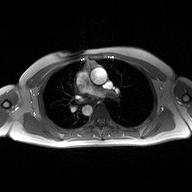
Clinical context: 2D phase-contrast cine MRI of the ascending aorta, high-resolution GRAPPA acquisition.